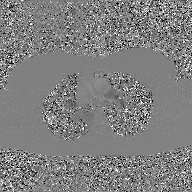
- modality — 2D phase-contrast cine MRI of the ascending aorta, GAN super-resolution reconstruction